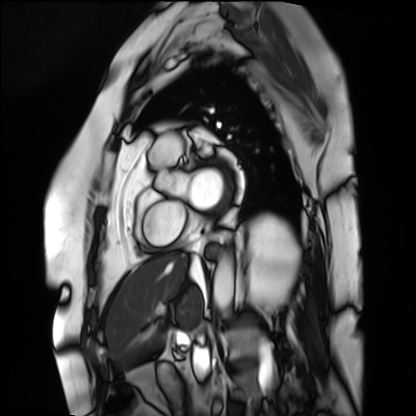
modality=cardiac MRI | subject group=patient.